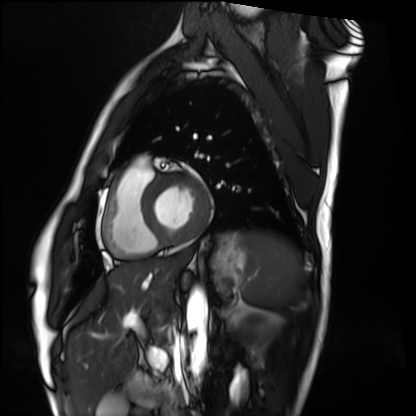
Case summary:
Cardiac MRI. Subject group: healthy volunteer.